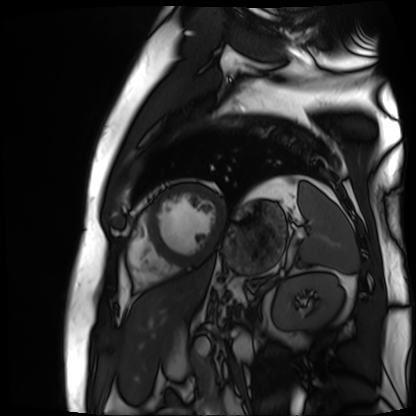
  modality: cardiac MR image of the myocardium
  cohort: cardiac patient